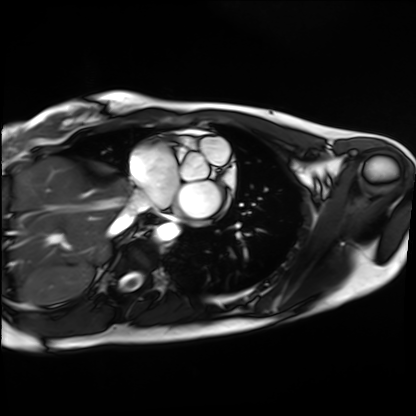
Q: What kind of scan is this?
A: Cardiac MRI.
Subject group: healthy volunteer.